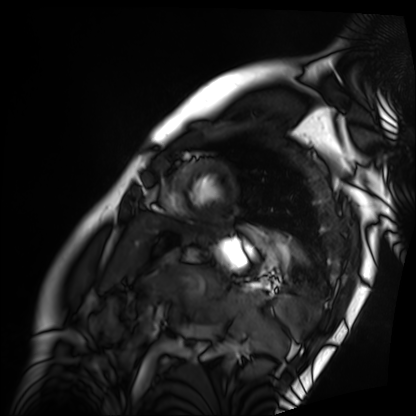
Cardiac MRI.
Subject group: patient.